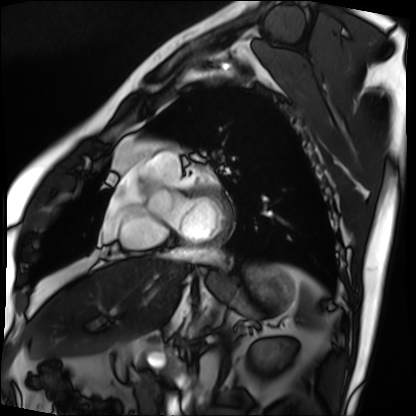
Cardiac MRI.
Subject group: patient.